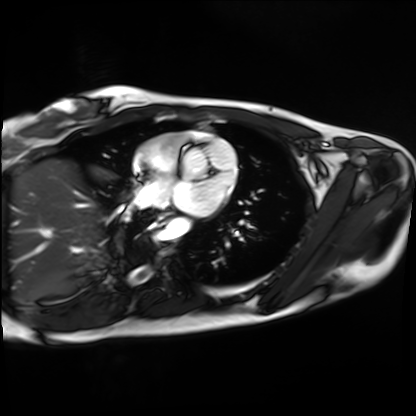
modality = cardiac MRI | subject group = healthy volunteer.